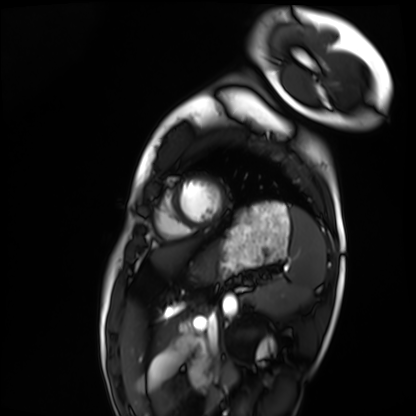
* modality: cardiac MRI
* subject group: healthy volunteer